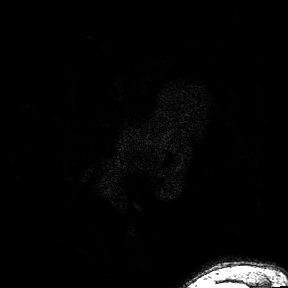
- modality: 3 Tesla brain MRI
- study: ring-enhancing brain masses